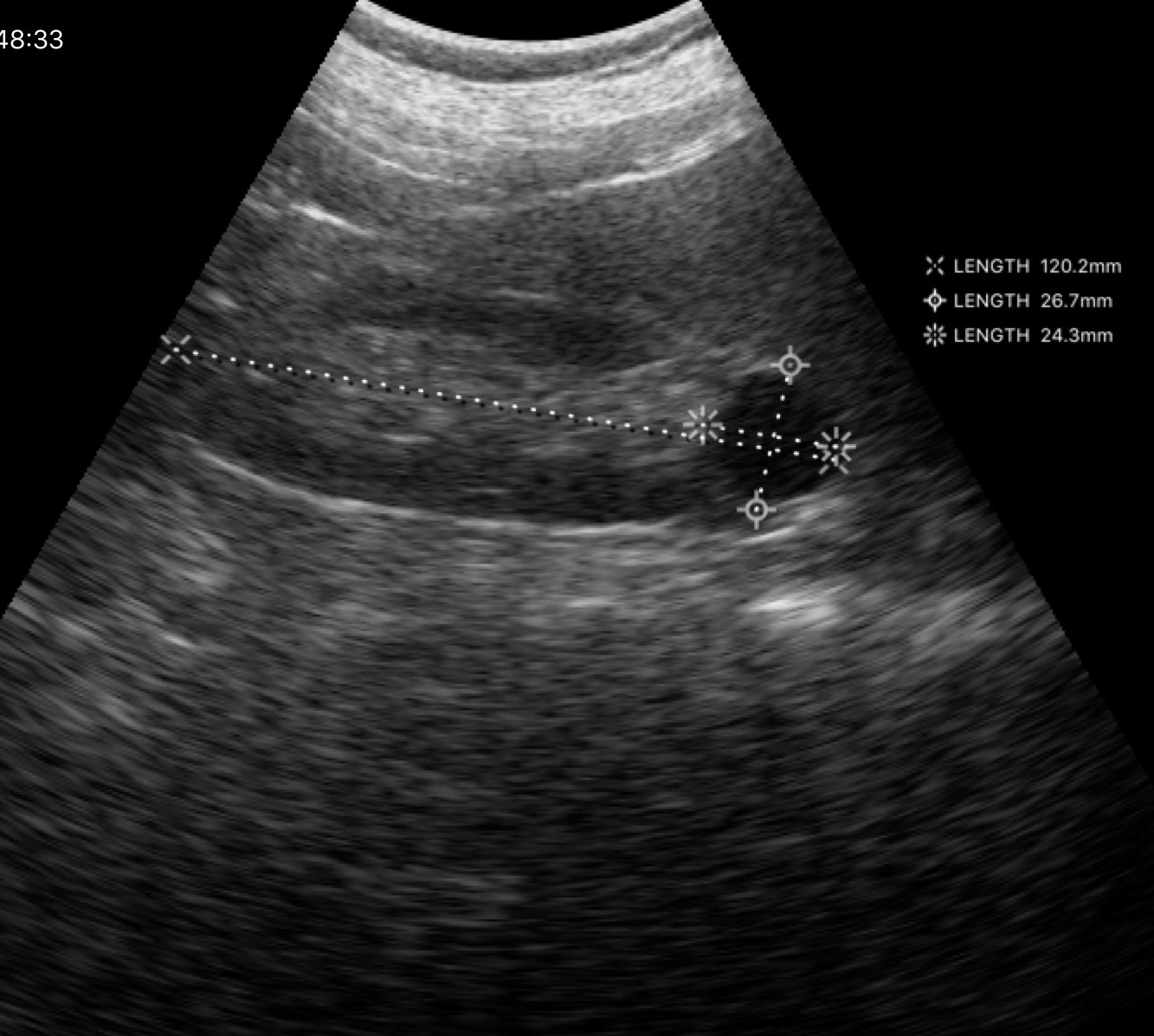
{"modality": {"type": "genitourinary ultrasound"}}